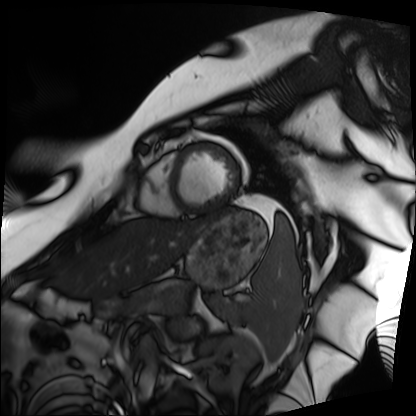
modality — cardiac MRI | subject group — patient.